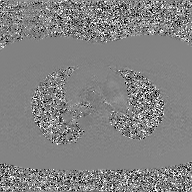
2D phase-contrast cine MRI of the ascending aorta, GAN super-resolution reconstruction.